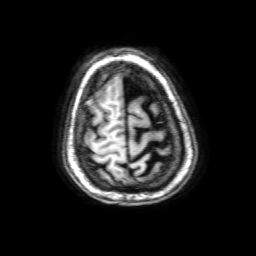
Summary:
3 Tesla brain MRI. Series: 3D T1-weighted with SENSE. Study: ring-enhancing brain masses.